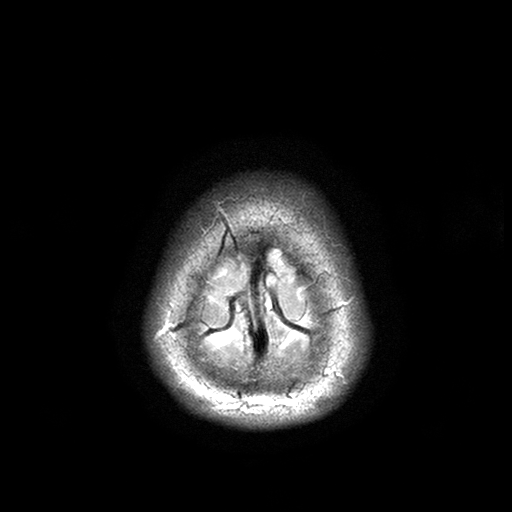
Clinical context:
3 Tesla brain MRI. Series: T2-weighted turbo spin echo with SENSE. Study: ring-enhancing brain masses.